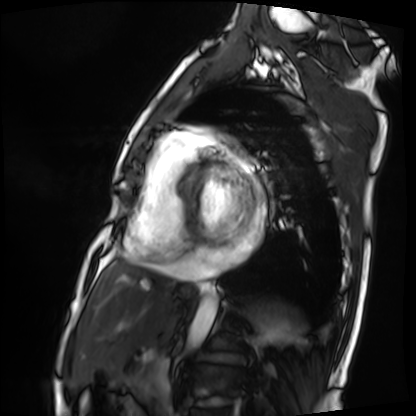
modality: cardiac MRI, subject group: patient.